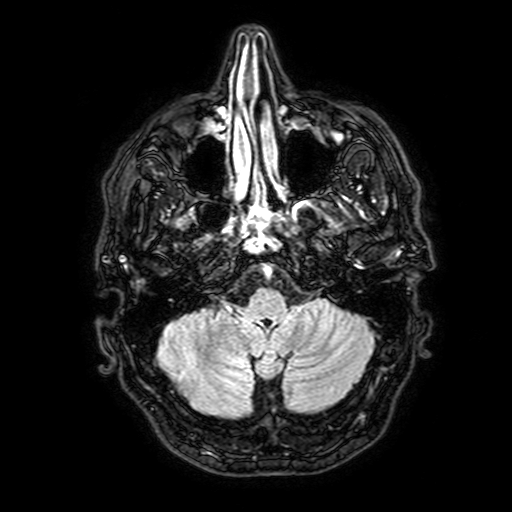
3 Tesla brain MRI.
Series: FLAIR with SPAIR, 3 mm.
Study: ring-enhancing brain masses.